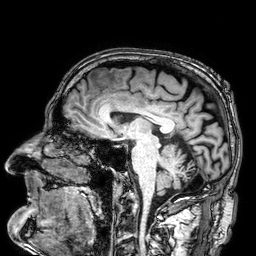
3 Tesla brain MRI. Series: 3D T1-weighted. Study: ring-enhancing brain masses.